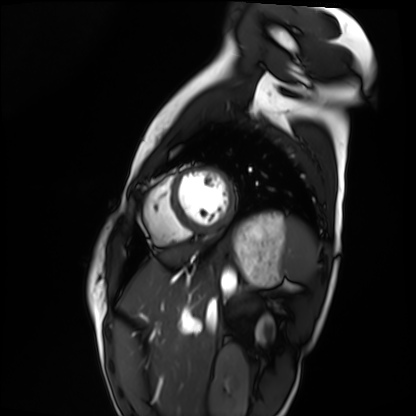
modality=cardiac MRI
subject group=healthy volunteer